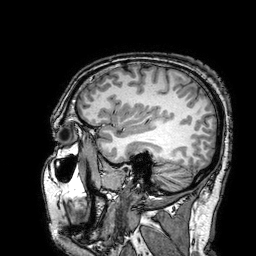
Summary:
3 Tesla brain MRI. Series: 3D T1-weighted turbo field echo with SENSE. Study: ring-enhancing brain masses.